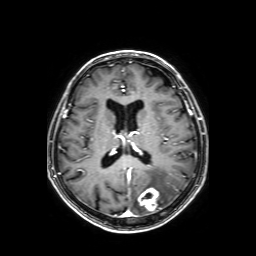
3 Tesla brain MRI. Series: axial T1-weighted fusion image. Study: ring-enhancing brain masses.